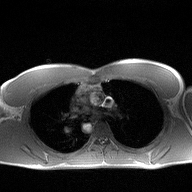
• modality — 2D phase-contrast cine MRI of the ascending aorta